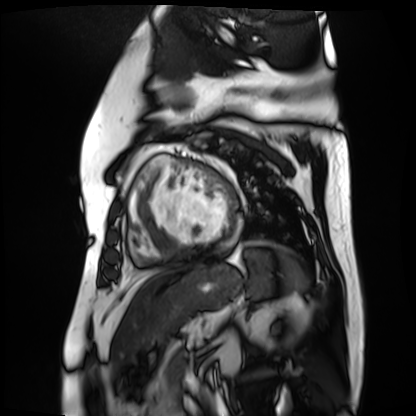
Cardiac MR image of the myocardium. Subject cohort: cardiac patient.